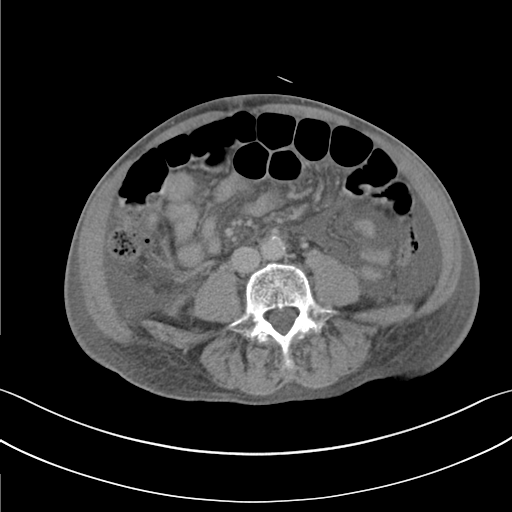
Multiphase abdominal CT, liver, delayed phase. Patient: male, age 82. History: cirrhosis.